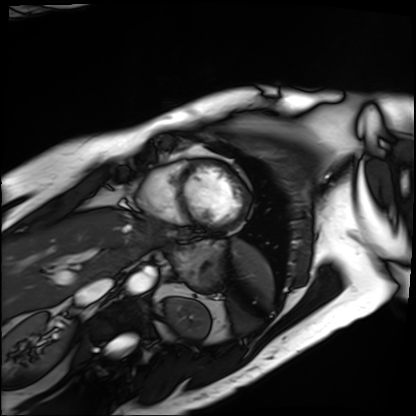
Summary: Cardiac MRI. Subject group: patient.